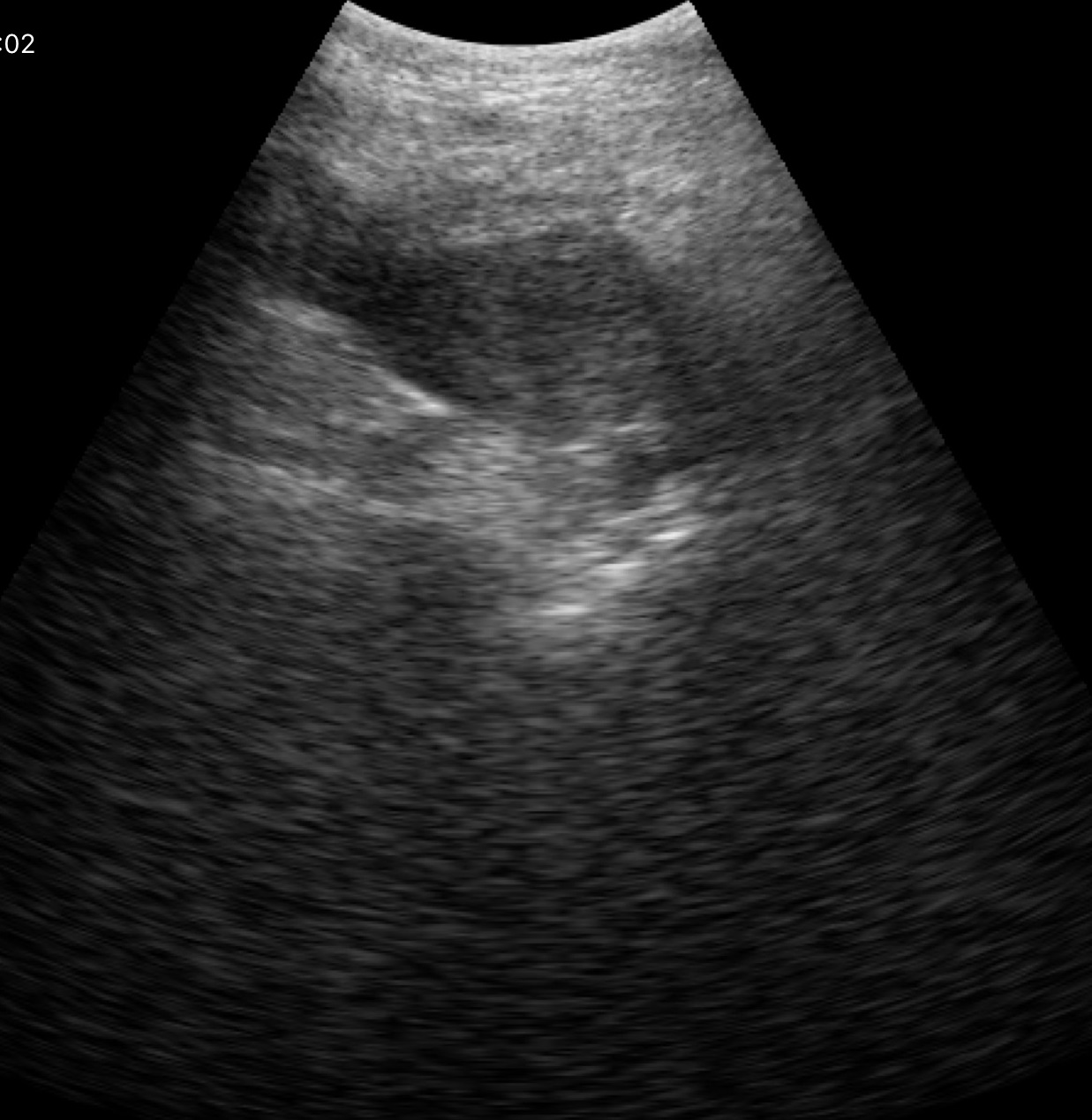
Genitourinary ultrasound.